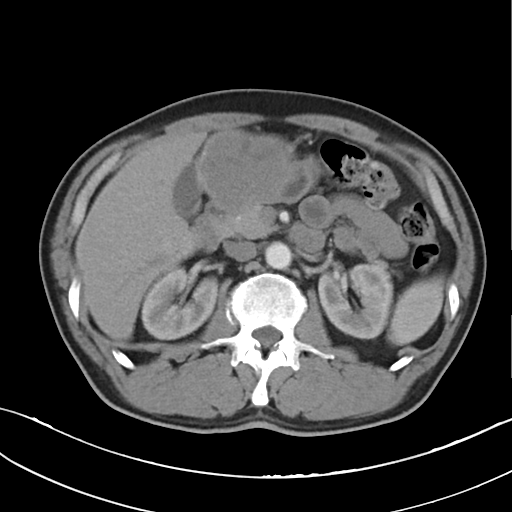
modality = multiphase abdominal CT, liver, arterial phase; patient = female, age 29.